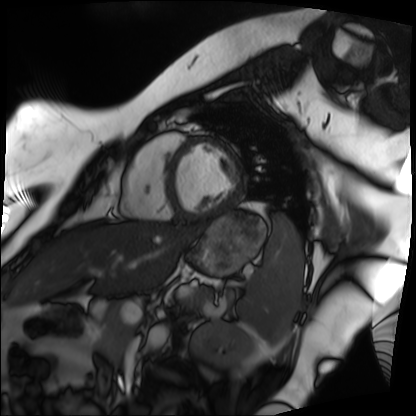
Cardiac MRI.
Subject group: patient.